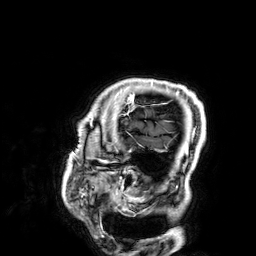
Q: What kind of scan is this?
A: 3 Tesla brain MRI.
Q: Series?
A: 3D T1-weighted.
Study: ring-enhancing brain masses.